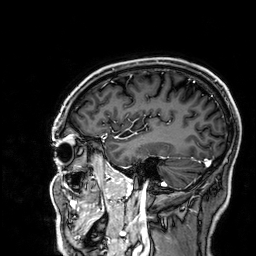
modality=3 Tesla brain MRI | series=3D T1-weighted | study=ring-enhancing brain masses.